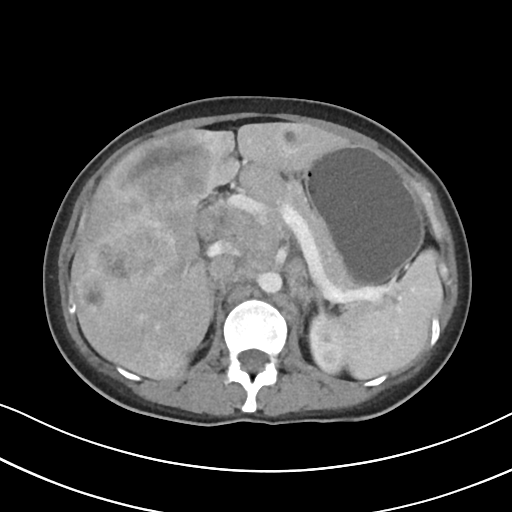
Summary: Multiphase abdominal CT, liver, arterial phase. Patient: female, age 32. History: viral hepatitis, prior chemotherapy.